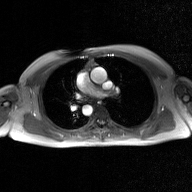
2D phase-contrast cine MRI of the ascending aorta, GAN super-resolution reconstruction.